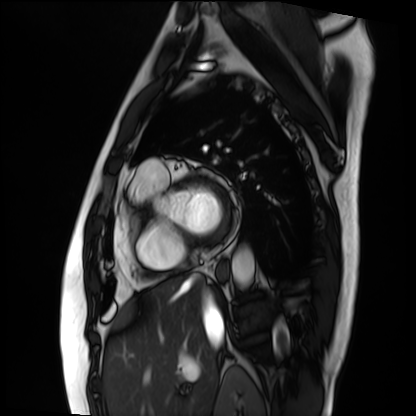
modality — cardiac MRI; subject group — patient.